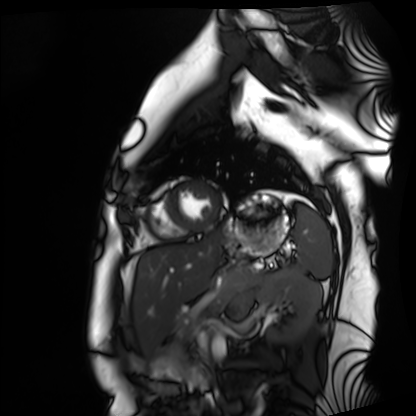
Cardiac MRI. Subject group: healthy volunteer.